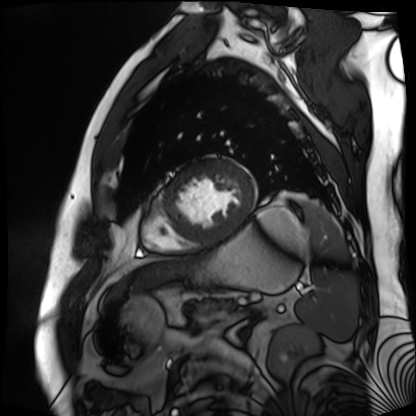
Case summary: Cardiac MR image of the myocardium. Subject cohort: cardiac patient.